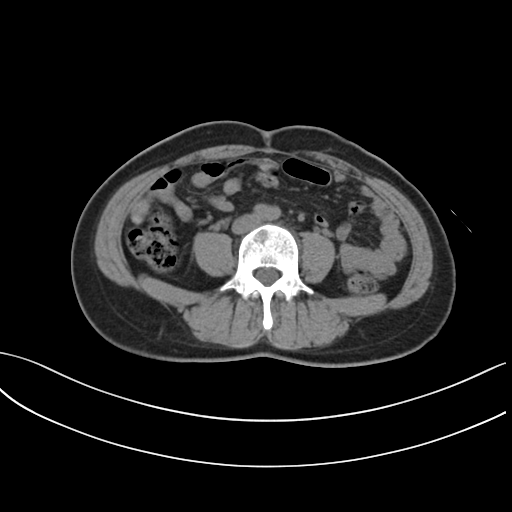
Case:
* modality — multiphase abdominal CT, liver, non-contrast phase
* patient — female, age 38
* history — prior chemotherapy